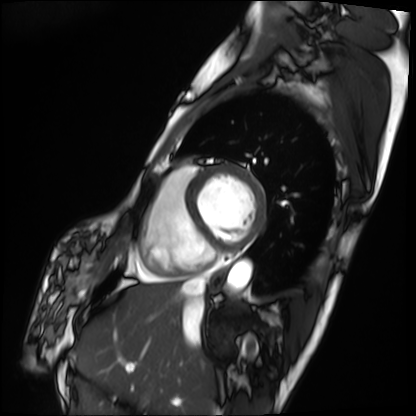
- modality — cardiac MRI
- subject group — patient